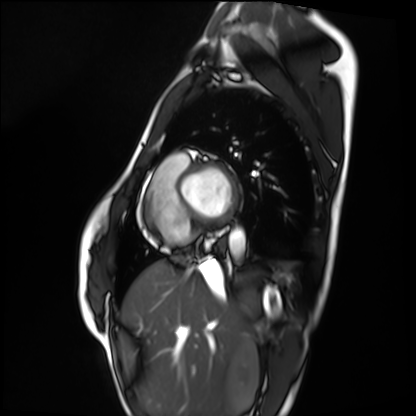
Case:
• modality · cardiac MRI
• subject group · healthy volunteer